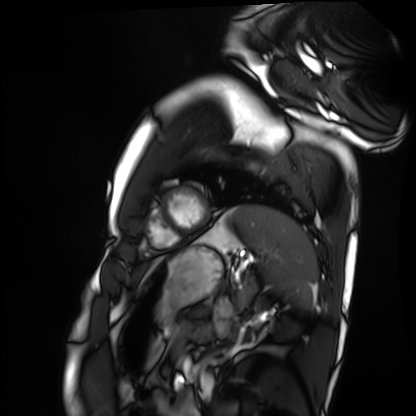
Clinical context:
Cardiac MRI. Subject group: healthy volunteer.